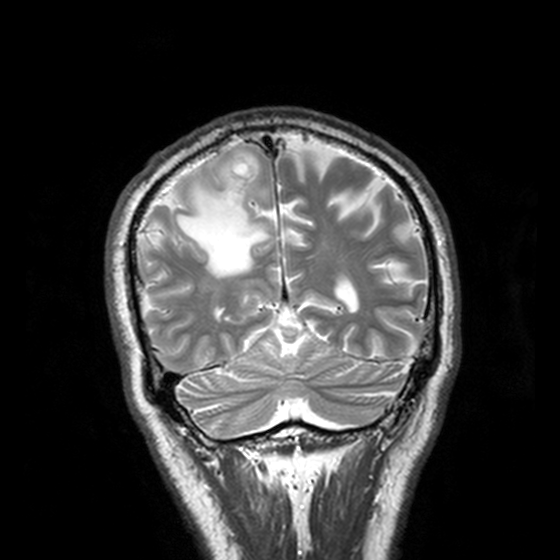
3 Tesla brain MRI. Series: T2-weighted turbo spin echo, 3 mm. Study: ring-enhancing brain masses.